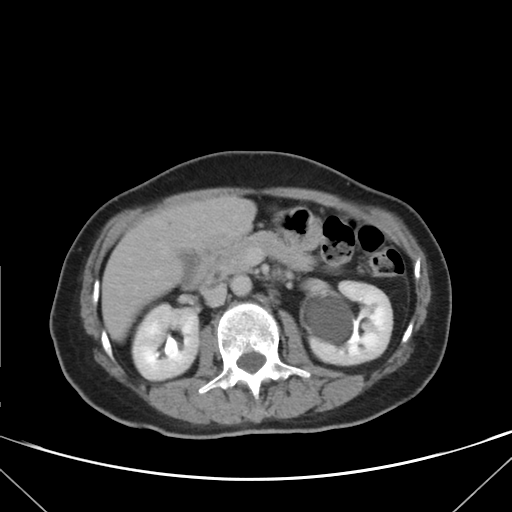
Q: What kind of scan is this?
A: Multiphase abdominal CT, liver, delayed phase.
Q: Patient?
A: Female, age 62.